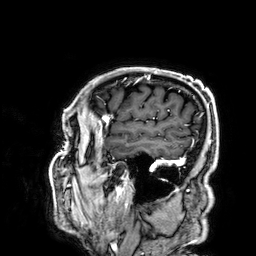
3 Tesla brain MRI. Series: 3D T1-weighted. Study: ring-enhancing brain masses.